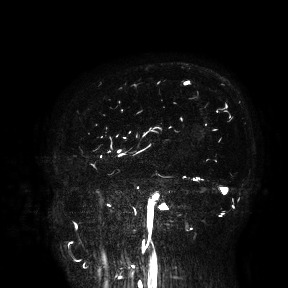
Summary: 3 Tesla brain MRI. Study: ring-enhancing brain masses.